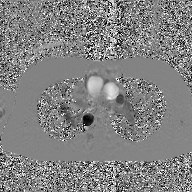
{
  "modality": {
    "type": "2D phase-contrast cine MRI",
    "region": "ascending aorta",
    "reconstruction": "GAN super-resolution reconstruction"
  }
}